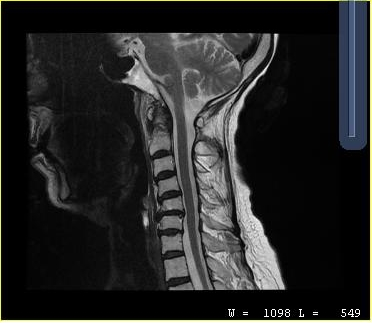
Summary: MRI of the cervical spine. Study: cervical spondylosis.